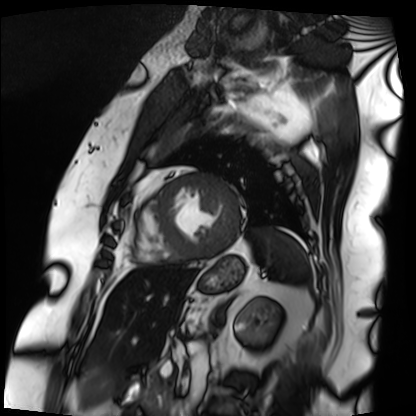
modality: cardiac MRI, subject group: patient.